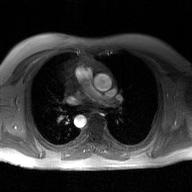
Summary:
2D phase-contrast cine MRI of the ascending aorta, GAN super-resolution reconstruction.